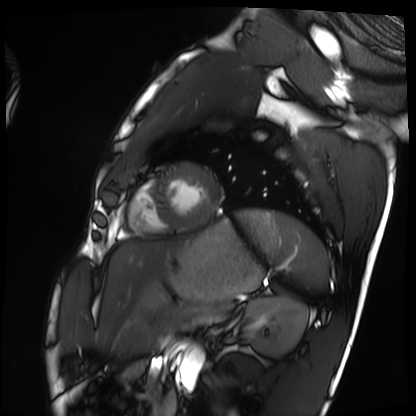
modality: cardiac MRI, subject group: healthy volunteer.